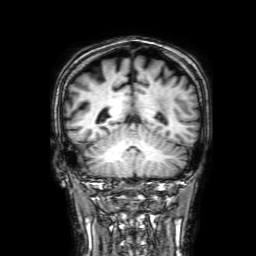
{
  "modality": {
    "type": "brain MRI",
    "field_strength": "3T"
  },
  "series": "3D T1-weighted with SENSE",
  "study_topic": "ring-enhancing brain masses"
}